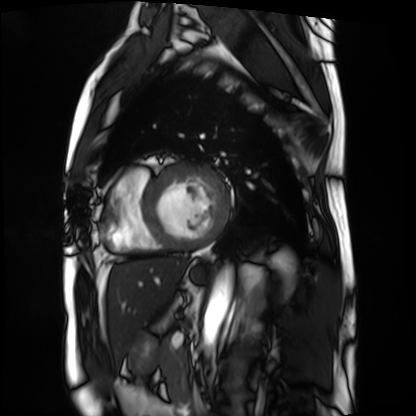
modality: cardiac MRI
subject group: patient